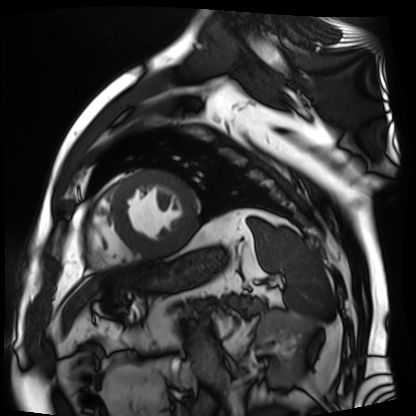
Q: What kind of scan is this?
A: Cardiac MR image of the myocardium.
Subject cohort: cardiac patient.